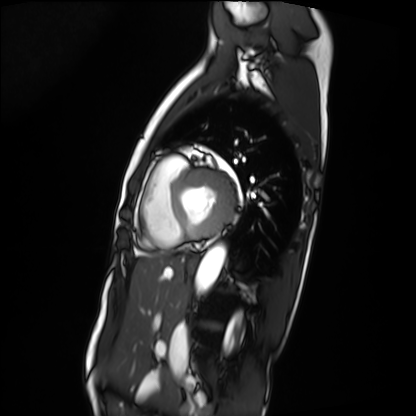
Summary: Cardiac MRI. Subject group: patient.